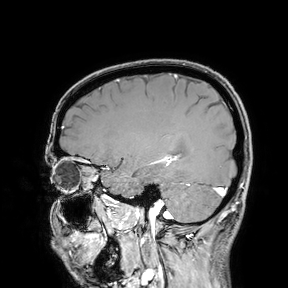
modality: 3 Tesla brain MRI; study: ring-enhancing brain masses.